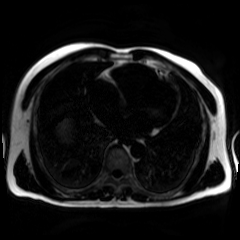
Summary: Chemical-shift-encoded cardiac MRI.